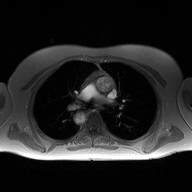
Summary:
2D phase-contrast cine MRI of the ascending aorta, high-resolution GRAPPA acquisition.